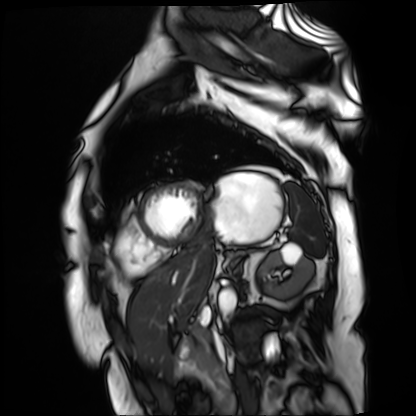
modality = cardiac MR image of the myocardium
subject cohort = cardiac patient